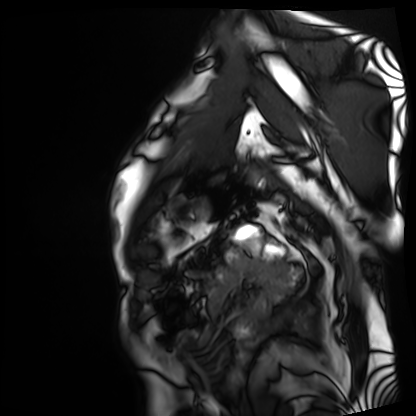
Clinical context: Cardiac MRI. Subject group: patient.